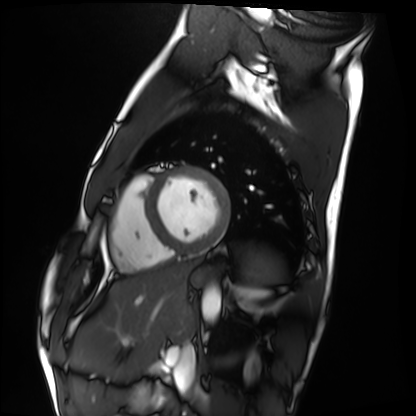
- modality — cardiac MRI
- subject group — healthy volunteer